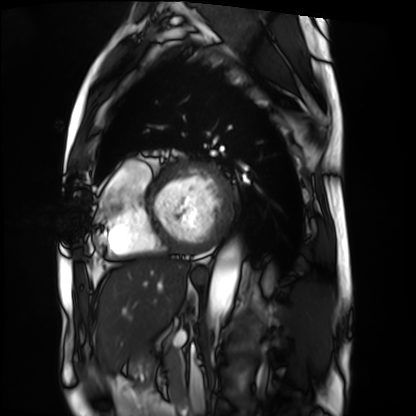
Case summary:
Cardiac MRI. Subject group: patient.